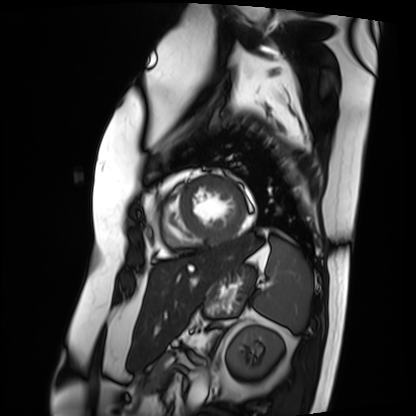
Cardiac MRI. Subject group: patient.